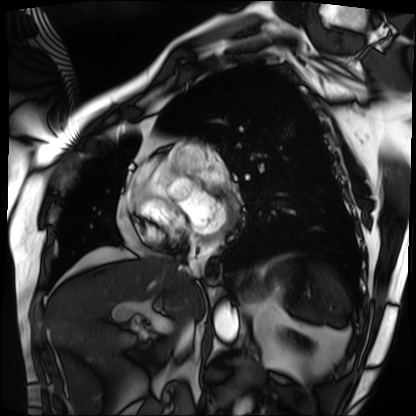
modality: cardiac MRI; subject group: patient.